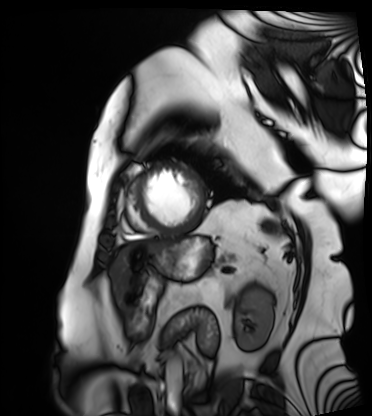
Cardiac MRI.
Subject group: patient.